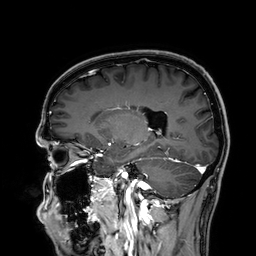
{"modality": {"type": "brain MRI", "field_strength": "3T"}, "series": "3D T1-weighted", "study_topic": "ring-enhancing brain masses"}